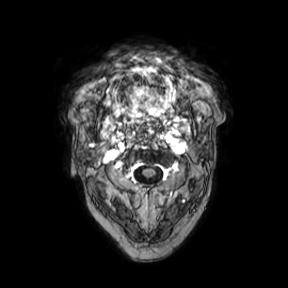
Q: What kind of scan is this?
A: 3 Tesla brain MRI.
Q: Series?
A: Axial.
Study: ring-enhancing brain masses.